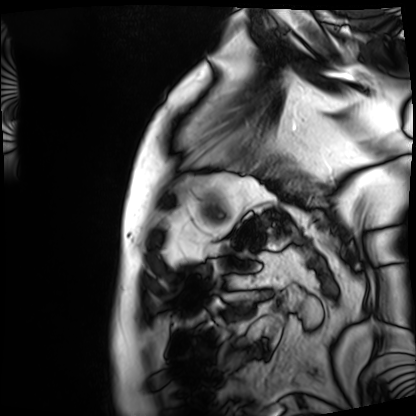
Case summary:
Cardiac MRI. Subject group: patient.